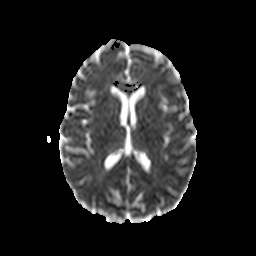
modality:
  type: brain MRI
  field_strength: 3T
series: diffusion-weighted imaging with CLEAR
study_topic: ring-enhancing brain masses